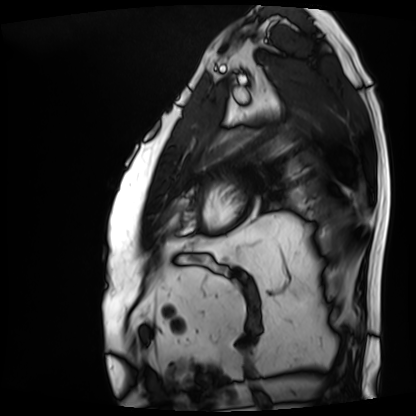
modality = cardiac MRI; subject group = patient.